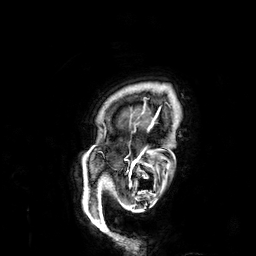
| field | value |
|---|---|
| modality | 3 Tesla brain MRI |
| series | 3D T1-weighted |
| study | ring-enhancing brain masses |